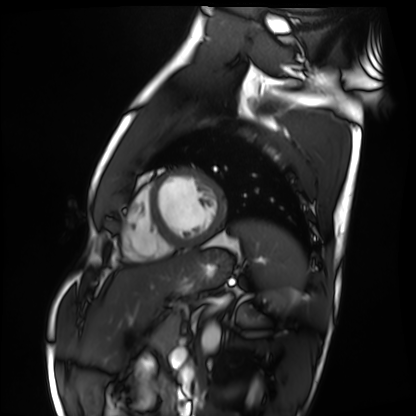
modality = cardiac MRI
subject group = healthy volunteer